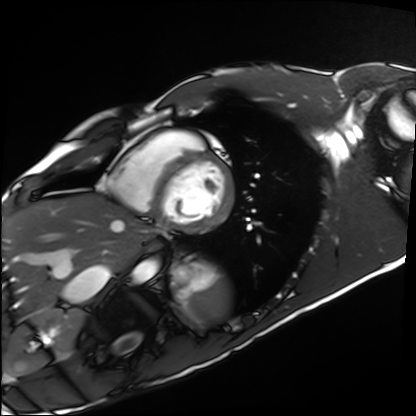
Cardiac MRI. Subject group: healthy volunteer.